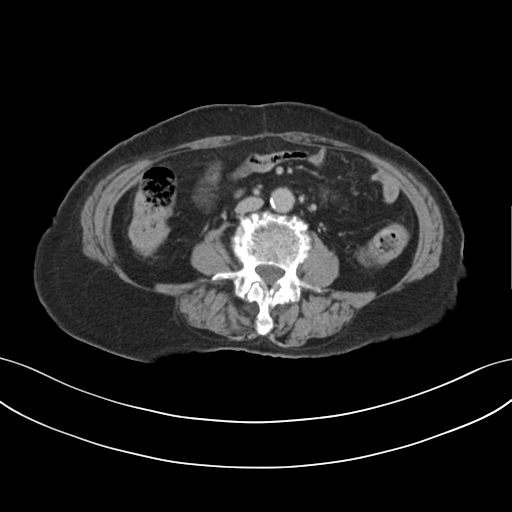
  modality:
    type: multiphase abdominal CT
    region: liver
    phase: delayed
  patient:
    sex: female
    age: 73